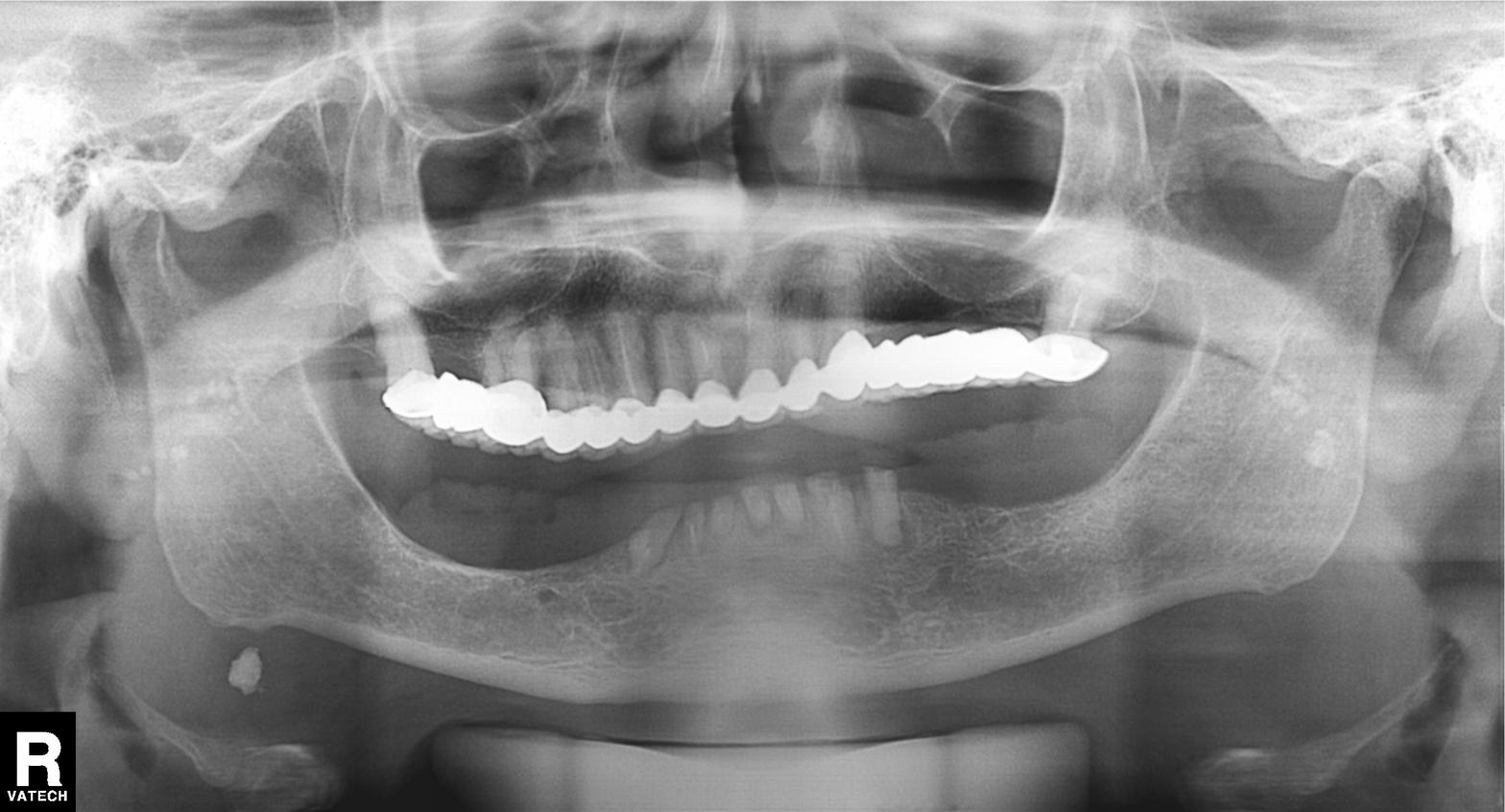
Panoramic dental radiograph (orthopantomogram).
Finding: dental caries (cavities).